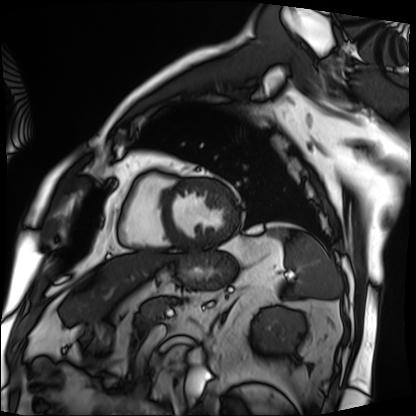
Cardiac MRI. Subject group: patient.